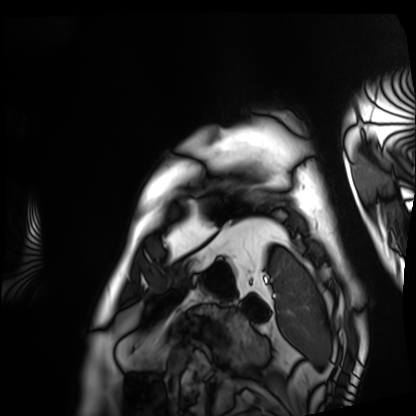
Summary: Cardiac MRI. Subject group: patient.